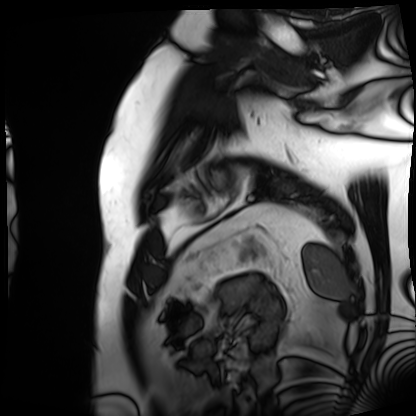
<case>
  <modality>cardiac MRI</modality>
  <cohort>patient</cohort>
</case>